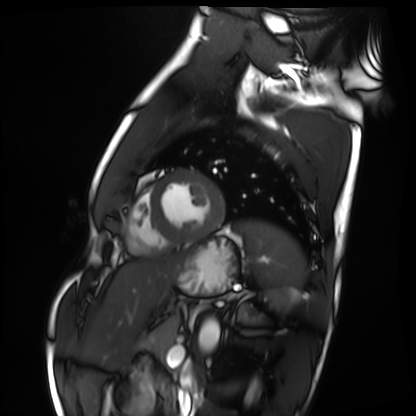
Summary: Cardiac MRI. Subject group: healthy volunteer.